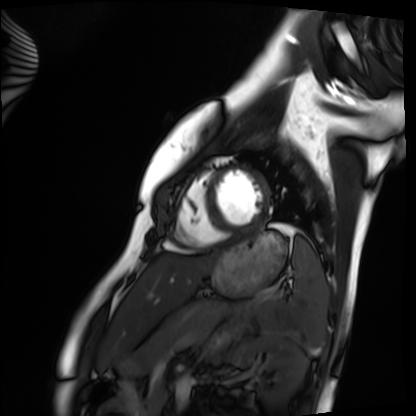
Case summary: Cardiac MRI. Subject group: healthy volunteer.